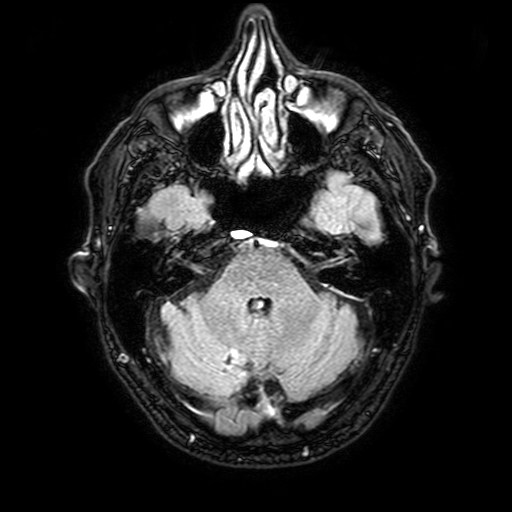
3 Tesla brain MRI. Series: FLAIR with SPAIR, 3 mm. Study: ring-enhancing brain masses.